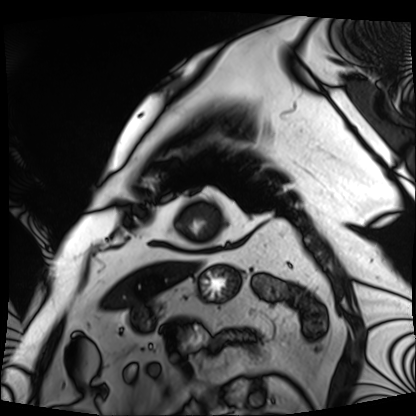
{
  "modality": "cardiac MRI",
  "cohort": "patient"
}